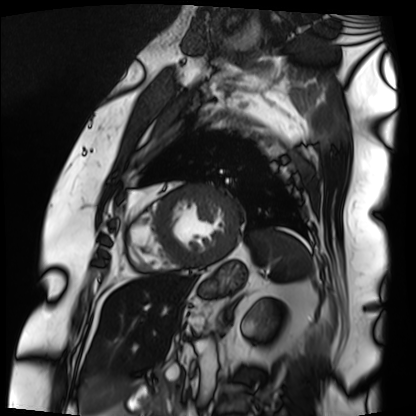
Cardiac MRI. Subject group: patient.